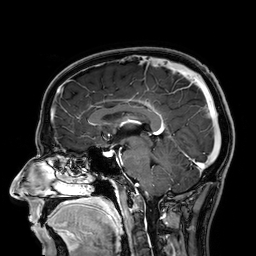
Summary:
3 Tesla brain MRI. Series: 3D T1-weighted. Study: ring-enhancing brain masses.